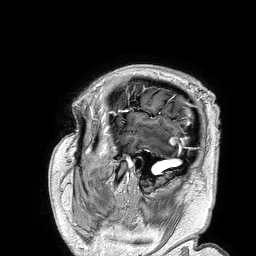
{"modality": {"type": "brain MRI", "field_strength": "3T"}, "series": "3D T1-weighted turbo field echo", "study_topic": "ring-enhancing brain masses"}